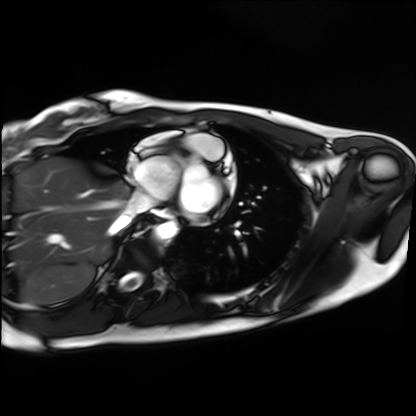
modality — cardiac MRI
subject group — healthy volunteer